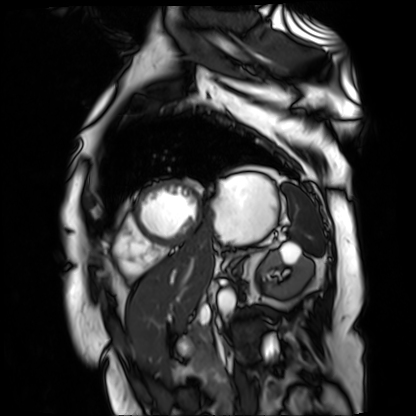
<record>
<modality>cardiac MR image of the myocardium</modality>
<cohort>cardiac patient</cohort>
</record>